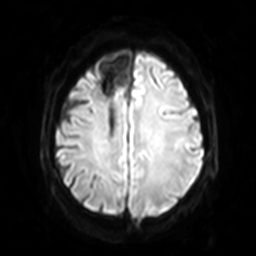
{"modality": {"type": "brain MRI", "field_strength": "3T"}, "series": "diffusion-weighted imaging with SENSE (WIP)", "study_topic": "ring-enhancing brain masses"}